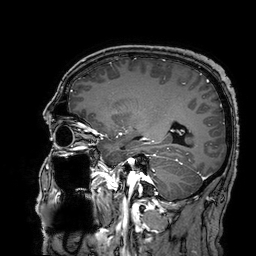
Case:
• modality · 3 Tesla brain MRI
• series · 3D T1-weighted turbo field echo with SENSE
• study · ring-enhancing brain masses